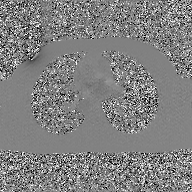
Case:
- modality · 2D phase-contrast cine MRI of the ascending aorta, GAN super-resolution reconstruction